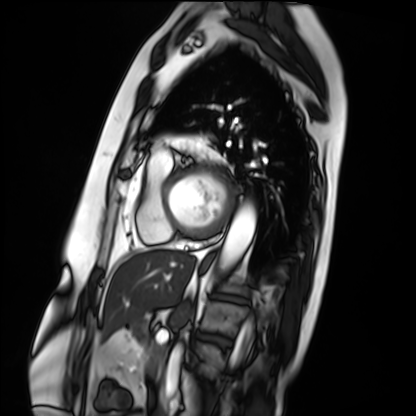
modality = cardiac MRI, subject group = patient.